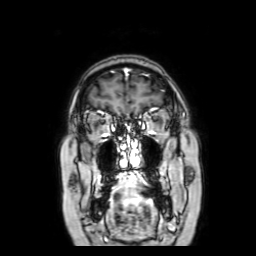
3 Tesla brain MRI. Series: coronal with contrast. Study: ring-enhancing brain masses.